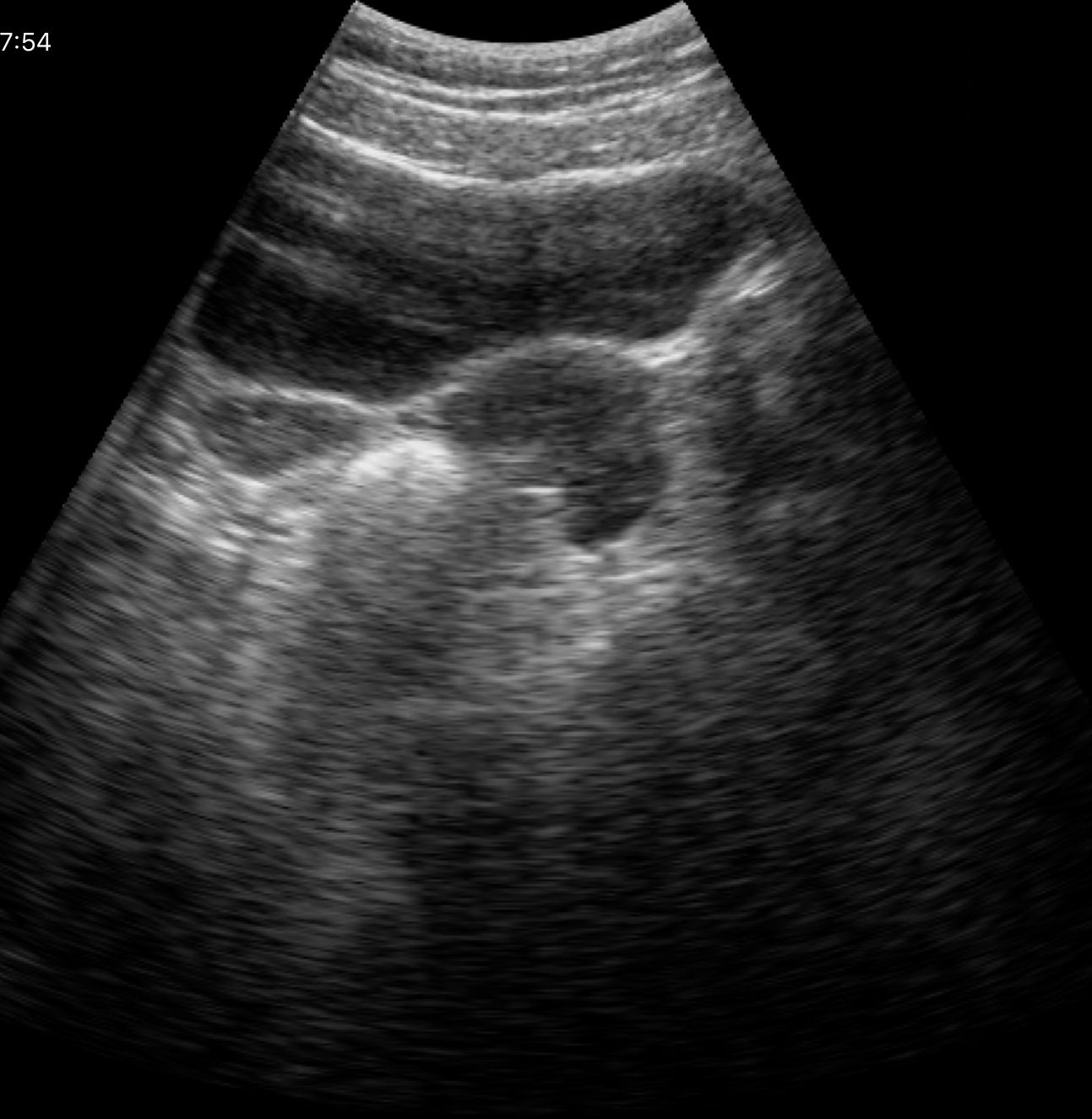
Genitourinary ultrasound.